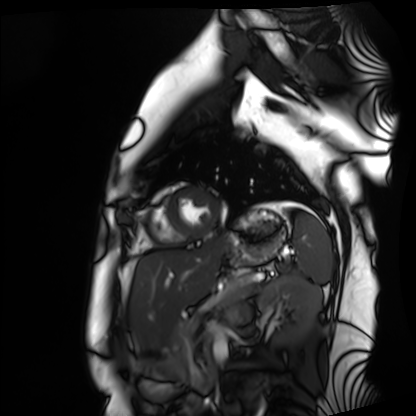
Q: What kind of scan is this?
A: Cardiac MRI.
Subject group: healthy volunteer.